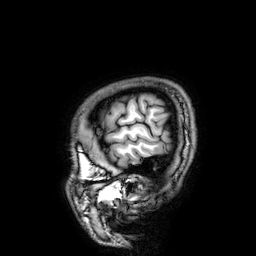
Summary:
3 Tesla brain MRI. Series: 3D T1-weighted. Study: ring-enhancing brain masses.